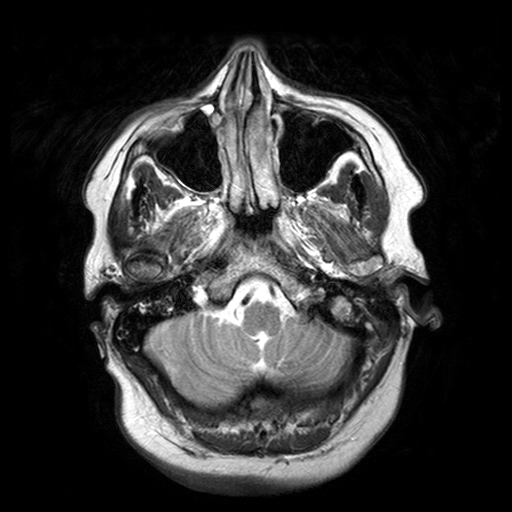
3 Tesla brain MRI.
Series: T2-weighted turbo spin echo with SENSE.
Study: ring-enhancing brain masses.